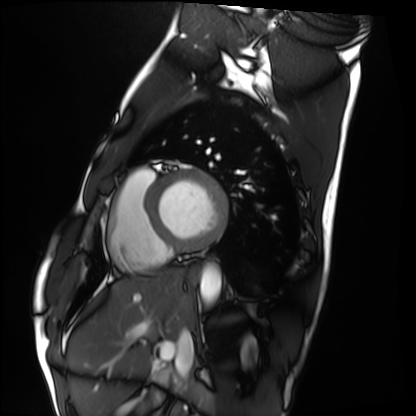
modality: cardiac MRI
subject group: healthy volunteer